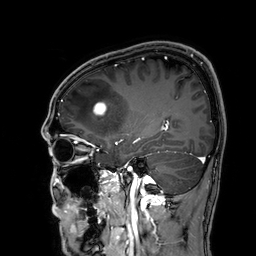
modality = 3 Tesla brain MRI
series = 3D T1-weighted
study = ring-enhancing brain masses